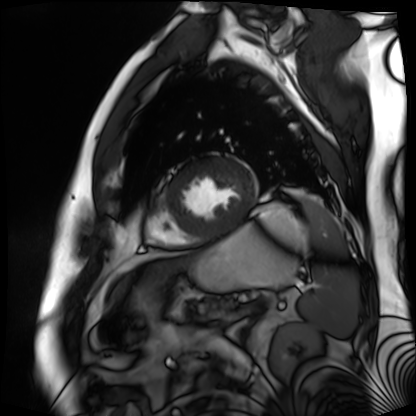
modality = cardiac MR image of the myocardium; subject cohort = cardiac patient.